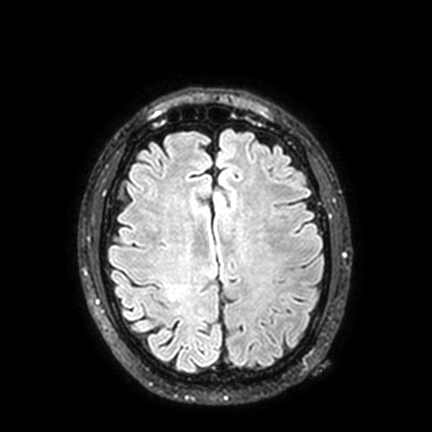
* modality · 3 Tesla brain MRI
* series · FLAIR VISTA with SENSE
* study · ring-enhancing brain masses